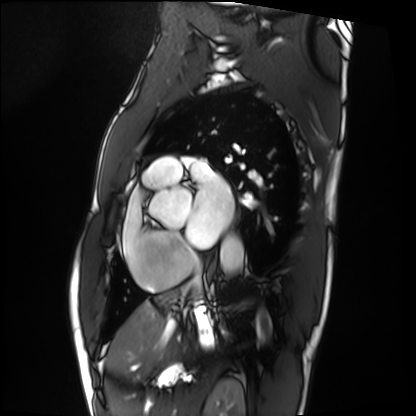
Cardiac MRI. Subject group: patient.